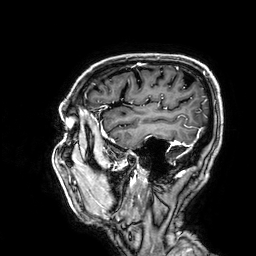
3 Tesla brain MRI.
Series: 3D T1-weighted.
Study: ring-enhancing brain masses.